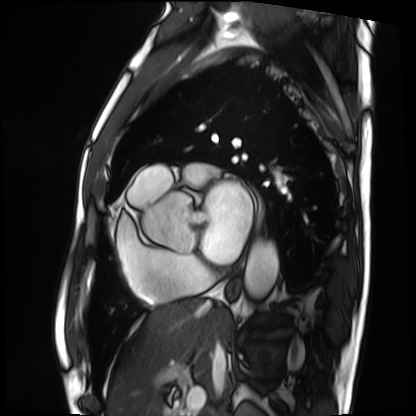
Cardiac MRI. Subject group: patient.